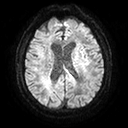
Case:
* modality — 3 Tesla brain MRI
* series — diffusion tensor imaging (medium iso)
* study — ring-enhancing brain masses